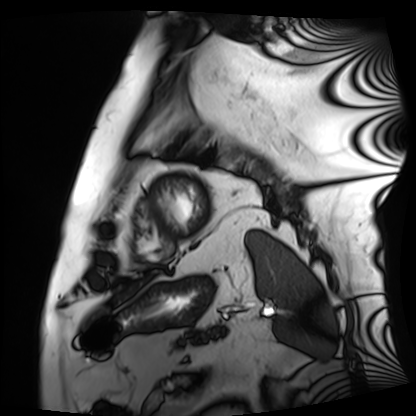
modality: cardiac MRI
subject group: patient